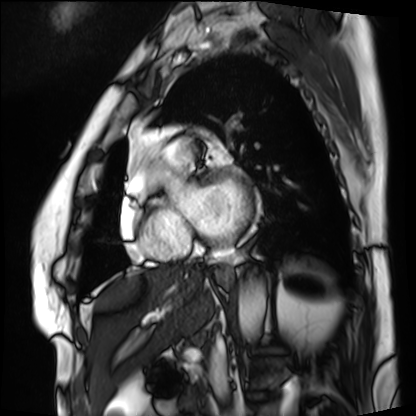
Cardiac MRI.
Subject group: patient.